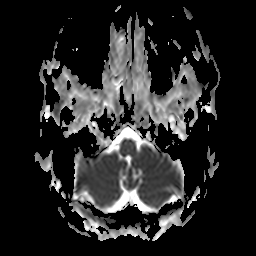
3 Tesla brain MRI.
Series: apparent diffusion coefficient (ADC) map.
Study: ring-enhancing brain masses.